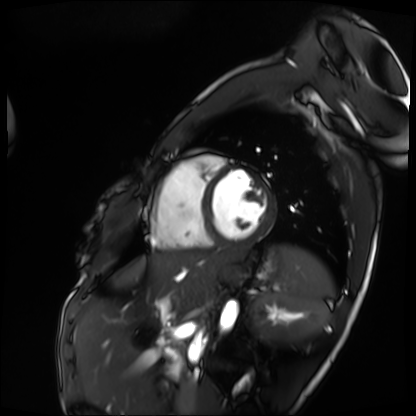
modality — cardiac MRI; subject group — patient.